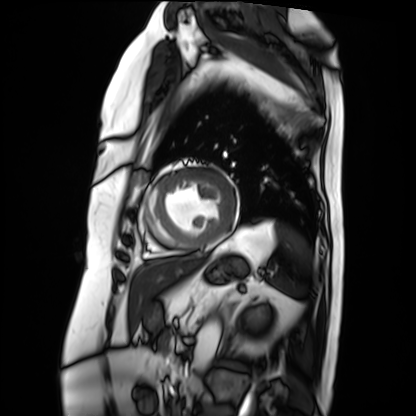
Clinical context: Cardiac MRI. Subject group: patient.